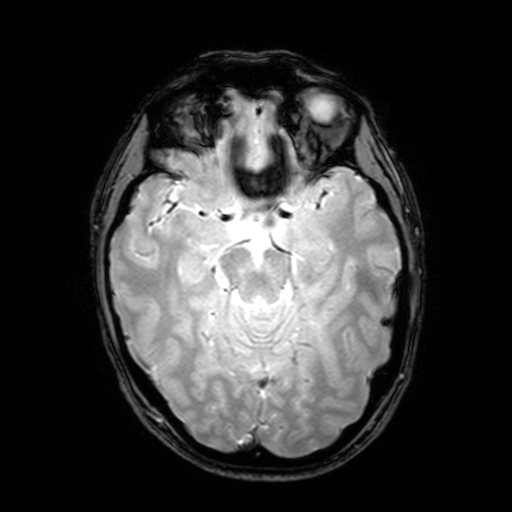
Clinical context: 3 Tesla brain MRI. Series: T2-weighted fast field echo with SENSE. Study: ring-enhancing brain masses.